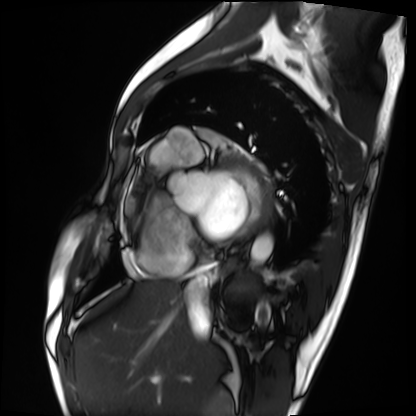
modality = cardiac MRI
subject group = patient